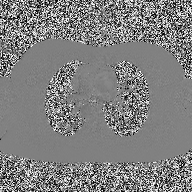
Case:
- modality — 2D phase-contrast cine MRI of the ascending aorta